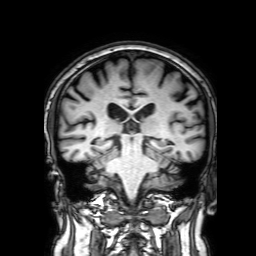
Case:
* modality · 3 Tesla brain MRI
* series · 3D T1-weighted with SENSE
* study · ring-enhancing brain masses